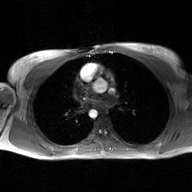
modality: 2D phase-contrast cine MRI of the ascending aorta, GAN super-resolution reconstruction.